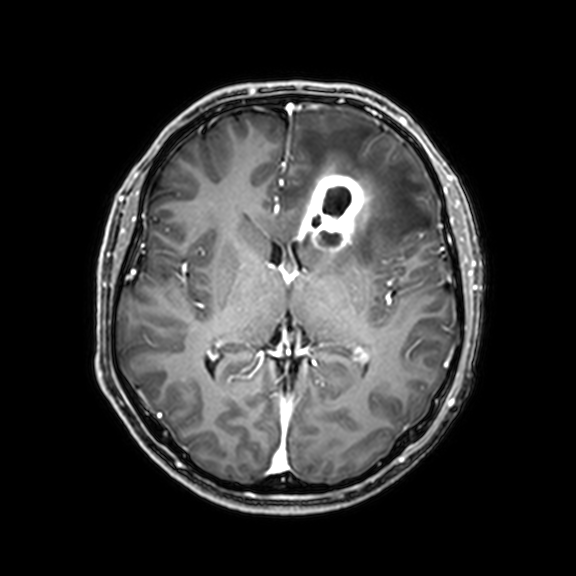
modality = 3 Tesla brain MRI; series = 3D T1-weighted with CLEAR; study = ring-enhancing brain masses.